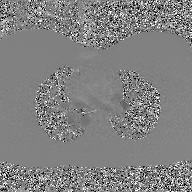
modality = 2D phase-contrast cine MRI of the ascending aorta, GAN super-resolution reconstruction.